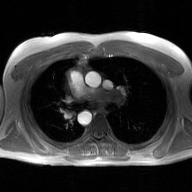
2D phase-contrast cine MRI of the ascending aorta, GAN super-resolution reconstruction.